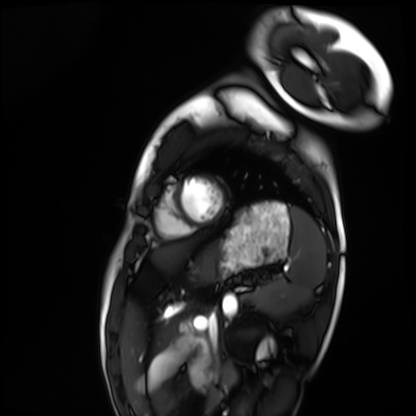
Summary: Cardiac MRI. Subject group: healthy volunteer.